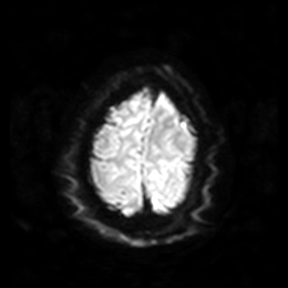
3 Tesla brain MRI. Series: diffusion-weighted imaging. Study: ring-enhancing brain masses.